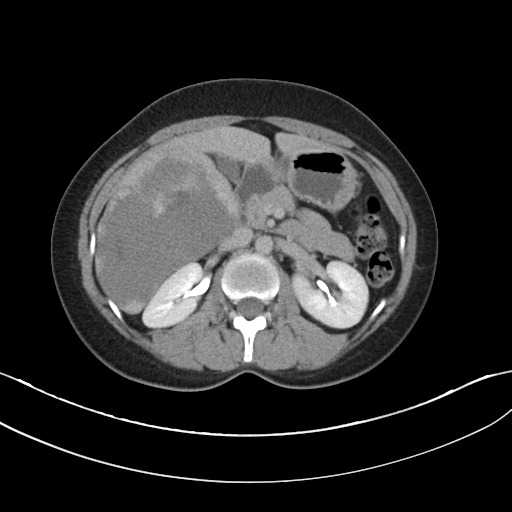
Multiphase abdominal CT, liver, delayed phase. Patient: male, age 32.